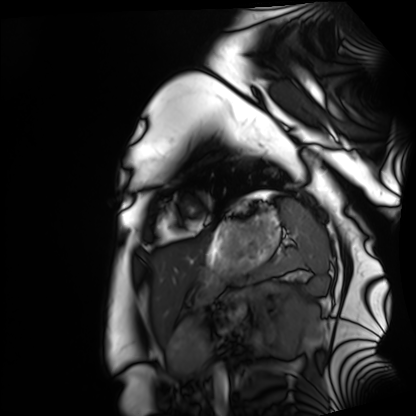
{"modality": "cardiac MRI", "cohort": "healthy volunteer"}